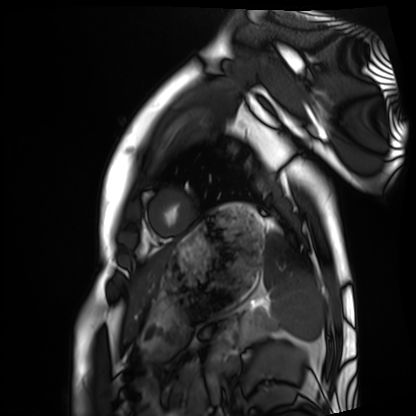
Cardiac MRI. Subject group: healthy volunteer.